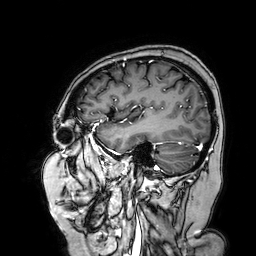
Case:
• modality — 3 Tesla brain MRI
• study — ring-enhancing brain masses